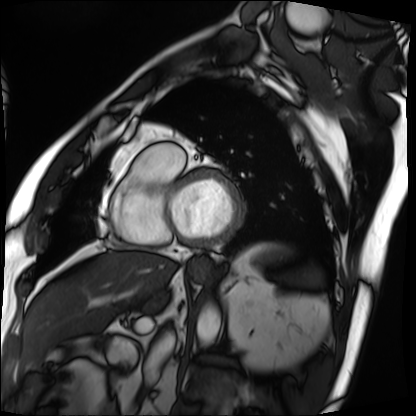
Summary:
Cardiac MRI. Subject group: patient.